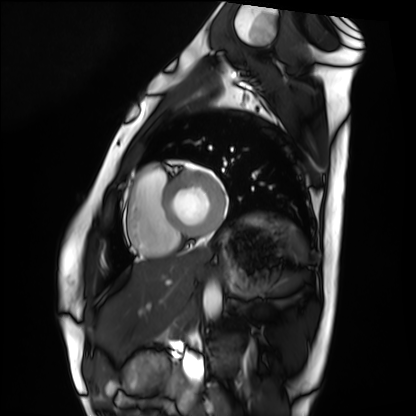
Cardiac MRI. Subject group: healthy volunteer.